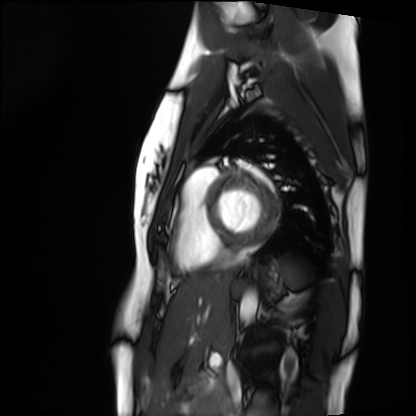
Case:
- modality: cardiac MRI
- subject group: healthy volunteer